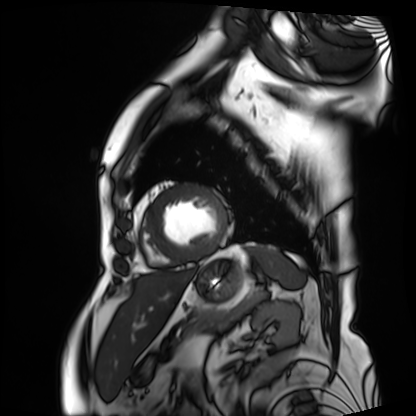
<record>
  <modality>cardiac MRI</modality>
  <cohort>patient</cohort>
</record>